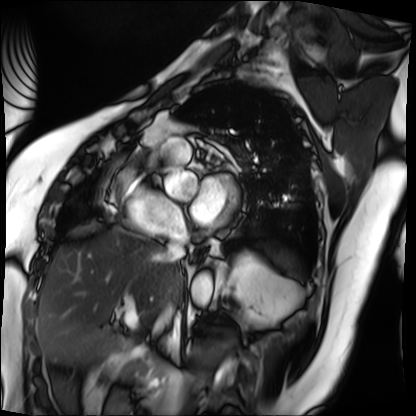
• modality — cardiac MRI
• subject group — patient